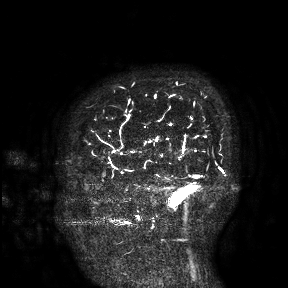
<case>
<modality>
  <type>brain MRI</type>
  <field_strength>3T</field_strength>
</modality>
<study_topic>ring-enhancing brain masses</study_topic>
</case>